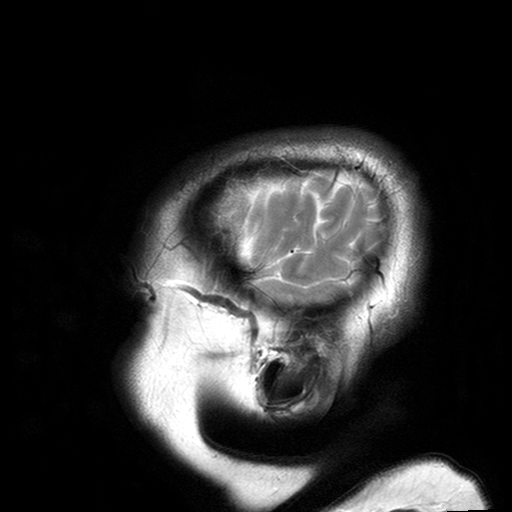
Q: What kind of scan is this?
A: 3 Tesla brain MRI.
Q: Series?
A: T2-weighted turbo spin echo with SENSE.
Study: ring-enhancing brain masses.